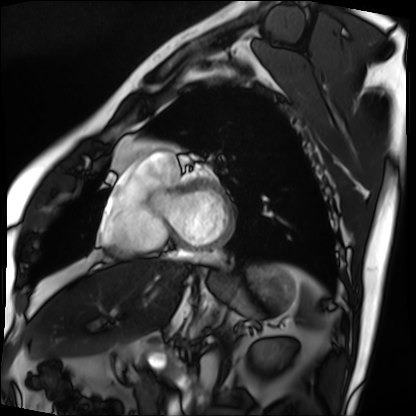
Cardiac MRI.
Subject group: patient.